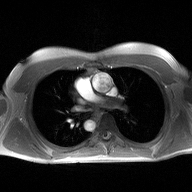
2D phase-contrast cine MRI of the ascending aorta, high-resolution GRAPPA acquisition.